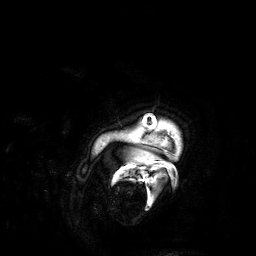
modality: 3 Tesla brain MRI
series: 3D T1-weighted
study: ring-enhancing brain masses